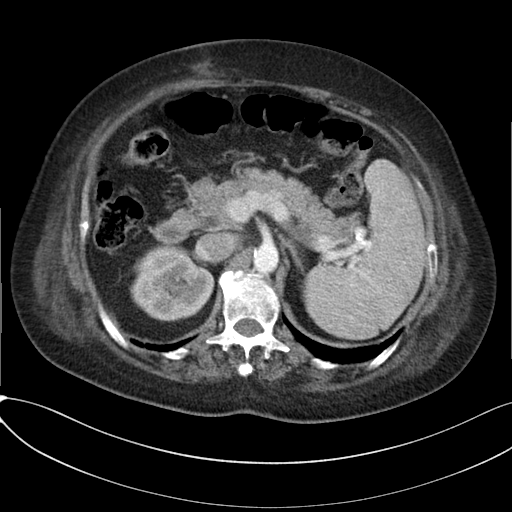
modality:
  type: multiphase abdominal CT
  region: liver
  phase: arterial
patient:
  sex: female
  age: 65
history:
  - cirrhosis
  - viral hepatitis